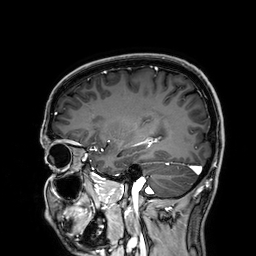
Summary: 3 Tesla brain MRI. Series: 3D T1-weighted. Study: ring-enhancing brain masses.